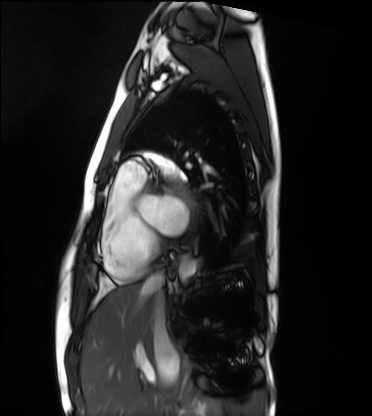
Case:
- modality: cardiac MRI
- subject group: healthy volunteer